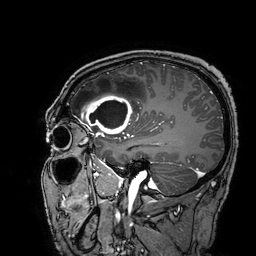
Summary:
3 Tesla brain MRI. Series: 3D T1-weighted turbo field echo with SENSE. Study: ring-enhancing brain masses.